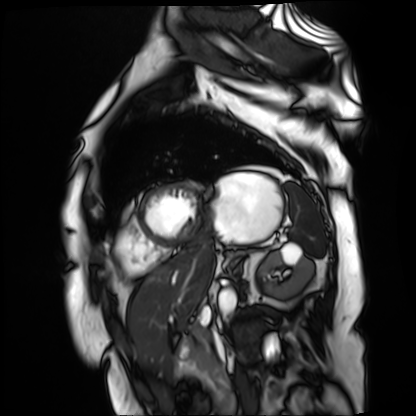
modality = cardiac MR image of the myocardium; subject cohort = cardiac patient.